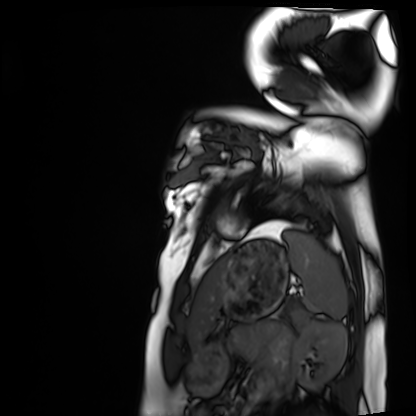
<record>
<modality>cardiac MRI</modality>
<cohort>healthy volunteer</cohort>
</record>